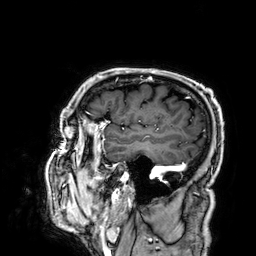
3 Tesla brain MRI. Study: ring-enhancing brain masses.